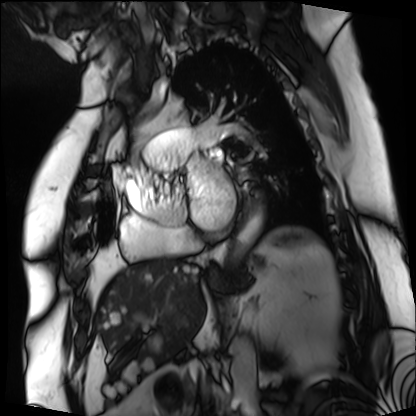
{"modality": "cardiac MRI", "cohort": "patient"}